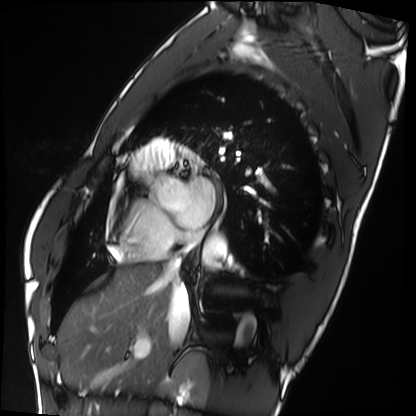
  modality: cardiac MRI
  cohort: healthy volunteer